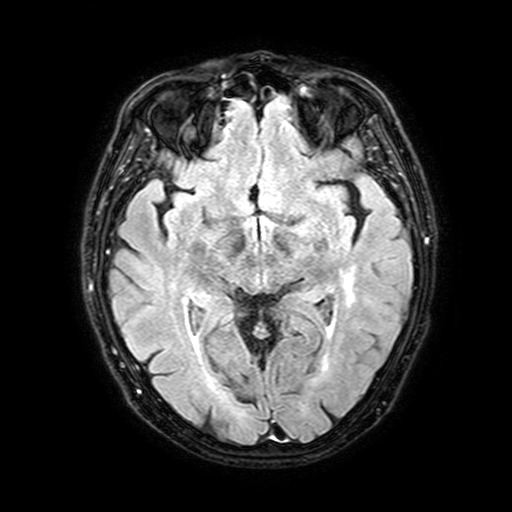
  modality:
    type: brain MRI
    field_strength: 3T
  study_topic: ring-enhancing brain masses